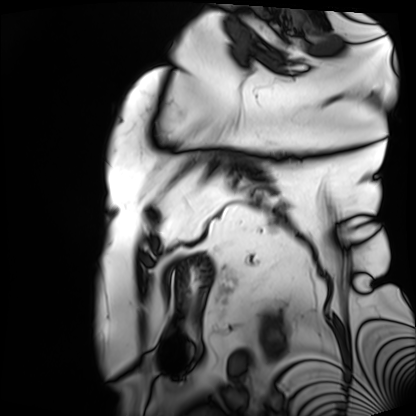
Clinical context:
Cardiac MRI. Subject group: patient.